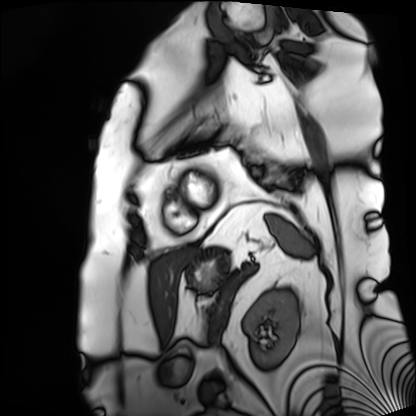
modality: cardiac MRI; subject group: patient.